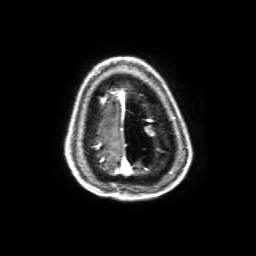
3 Tesla brain MRI. Series: 3D T1-weighted with SENSE. Study: ring-enhancing brain masses.